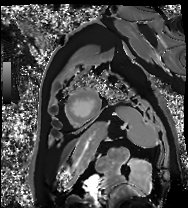
Q: What kind of scan is this?
A: Cardiac MRI.
Subject group: patient.